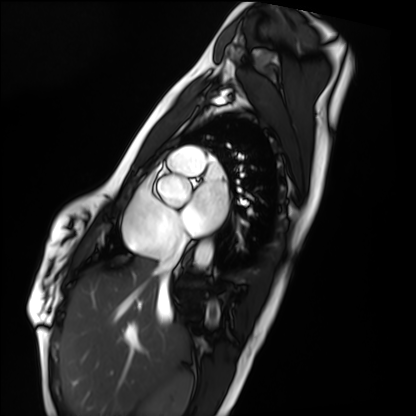
Cardiac MRI. Subject group: healthy volunteer.